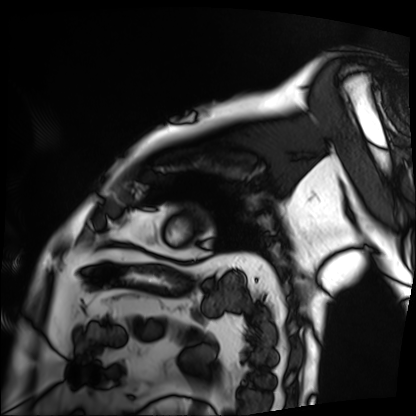
Cardiac MRI. Subject group: patient.